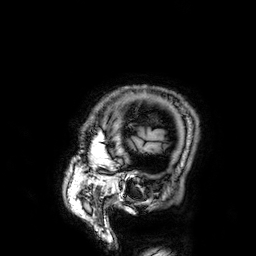
| field | value |
|---|---|
| modality | 3 Tesla brain MRI |
| series | 3D T1-weighted |
| study | ring-enhancing brain masses |